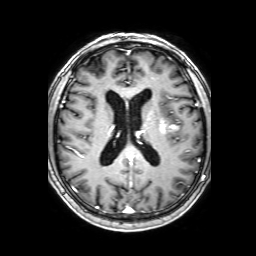
3 Tesla brain MRI. Series: 3D T1-weighted with SENSE. Study: ring-enhancing brain masses.